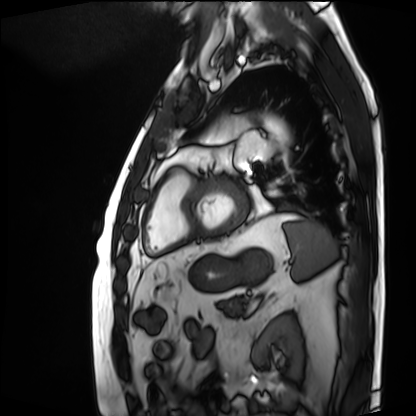
Cardiac MRI. Subject group: patient.